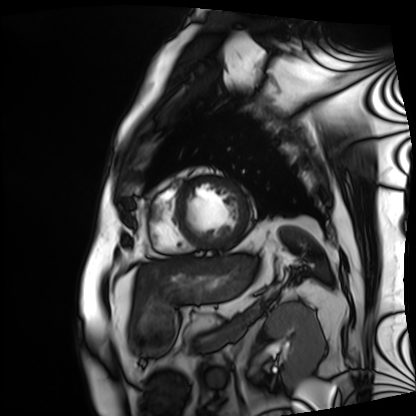
modality = cardiac MRI, subject group = patient.